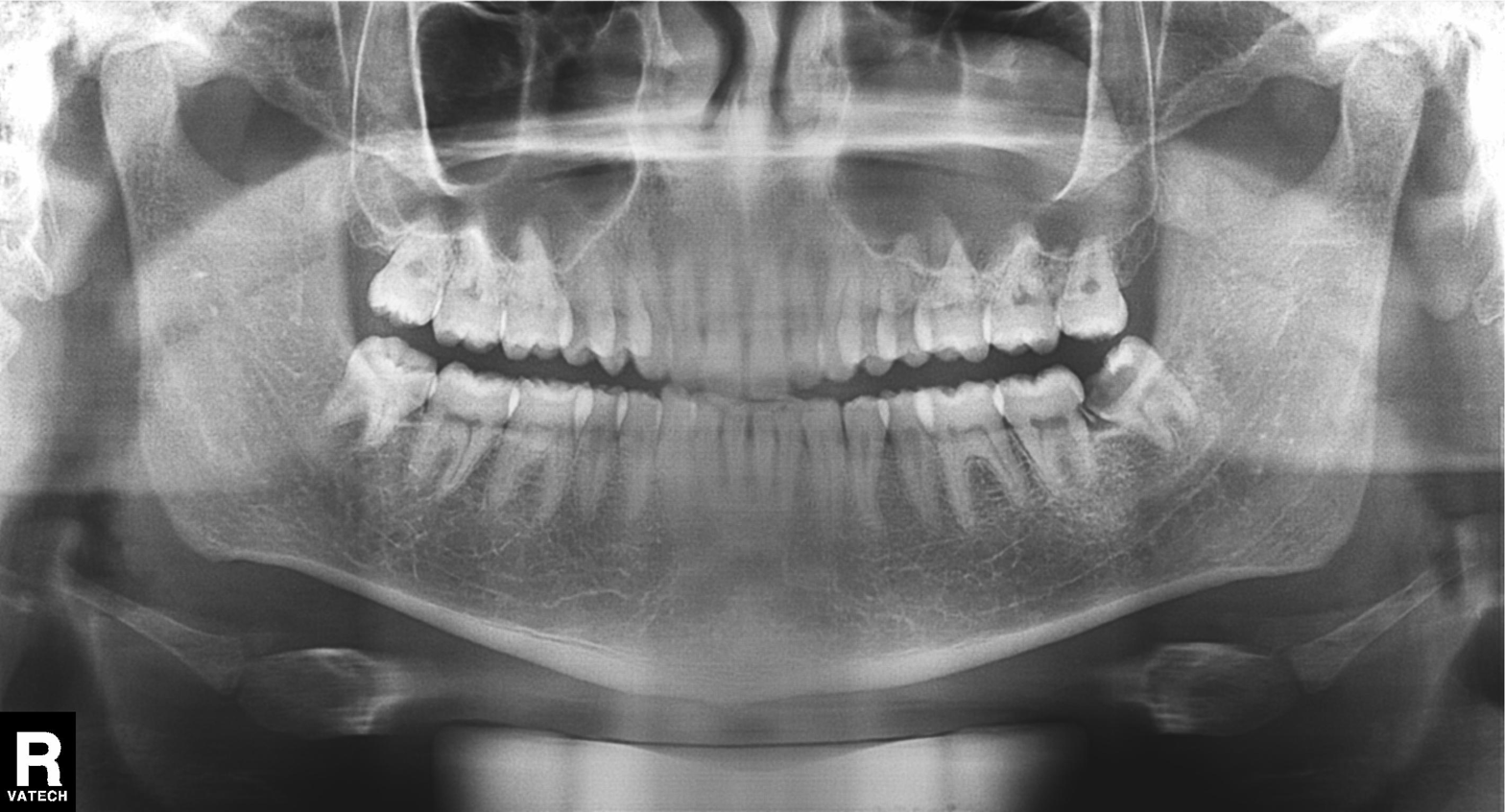
{
  "modality": "panoramic dental radiograph (orthopantomogram)",
  "finding": "dental caries (cavities)"
}